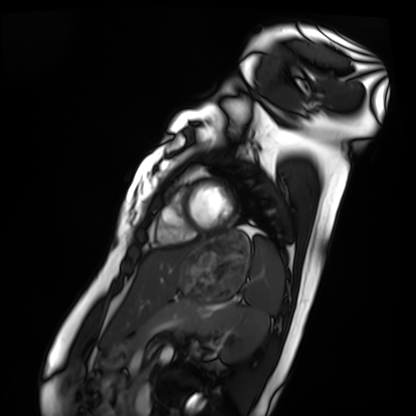
Q: What kind of scan is this?
A: Cardiac MRI.
Subject group: healthy volunteer.